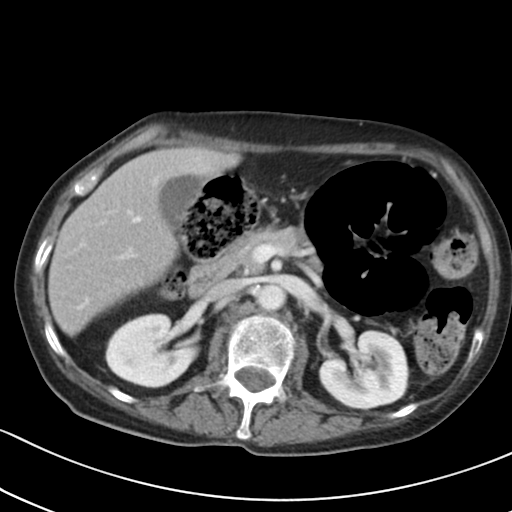
Summary:
Multiphase abdominal CT, liver, portal venous phase. Patient: female, age 65. History: prior chemotherapy.